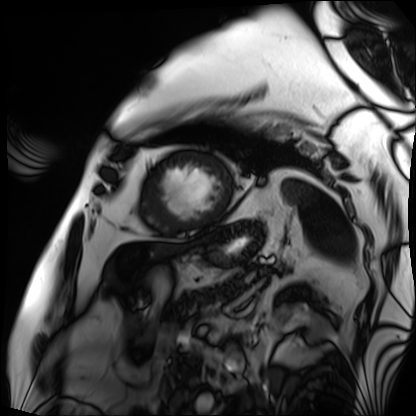
Clinical context: Cardiac MRI. Subject group: patient.